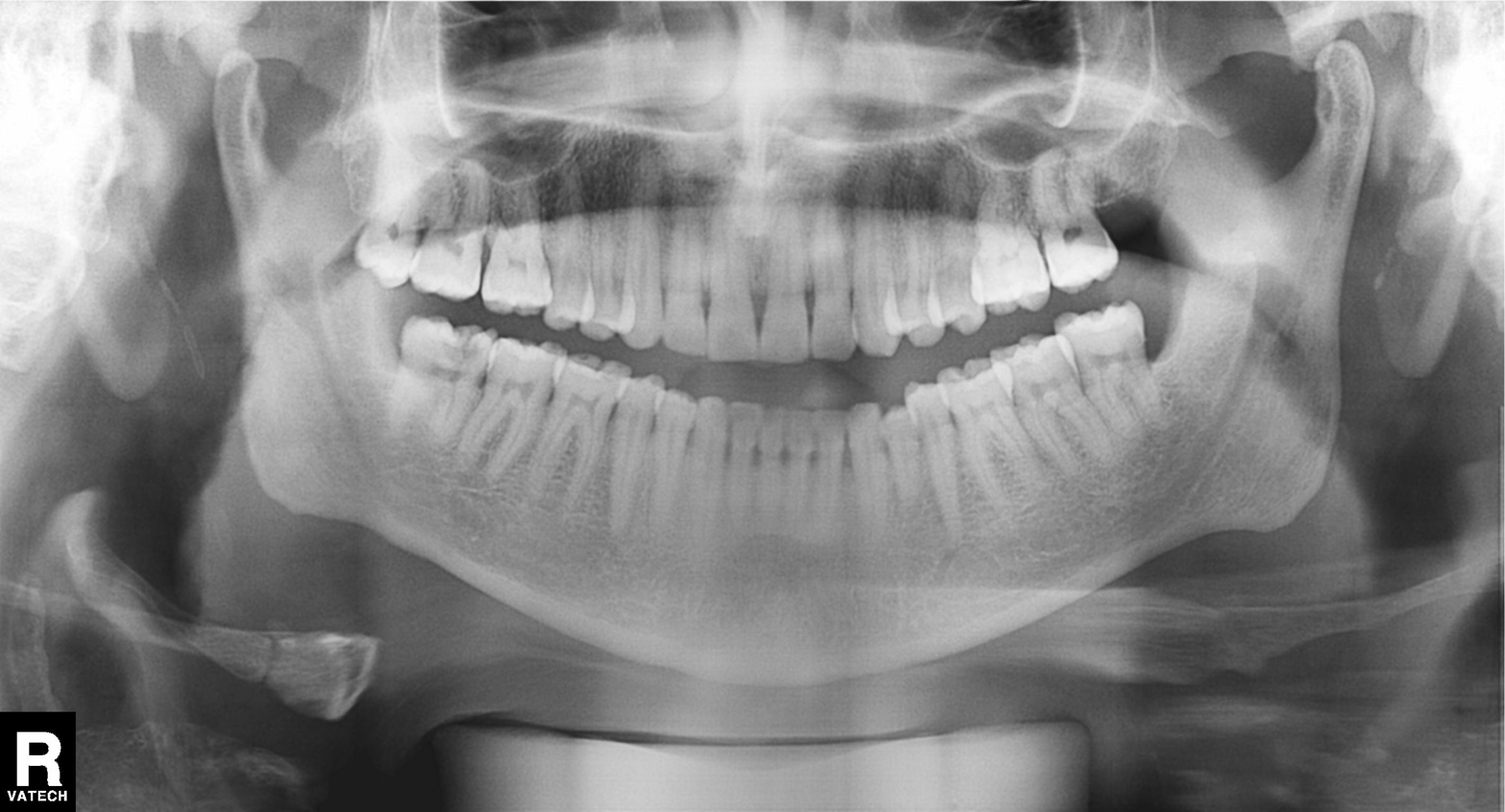
<record>
  <modality>panoramic dental radiograph (orthopantomogram)</modality>
  <finding>alveolar bone loss</finding>
</record>